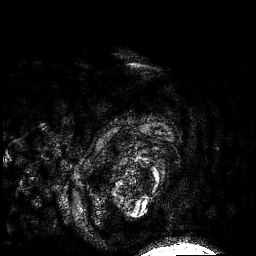
3 Tesla brain MRI. Series: 3D T1-weighted. Study: ring-enhancing brain masses.